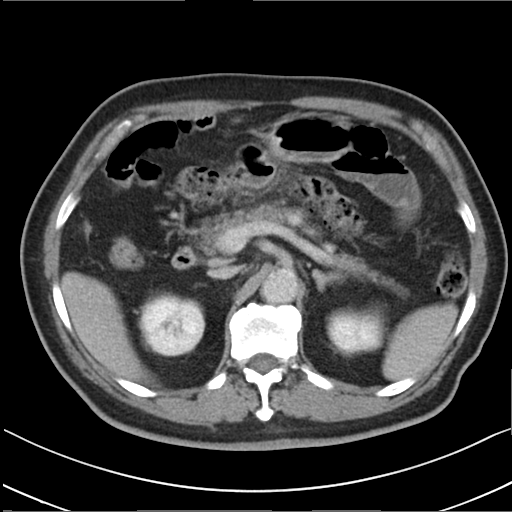
Multiphase abdominal CT, liver, delayed phase. Patient: male, age 79.